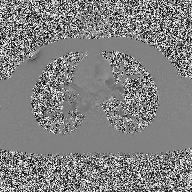
modality = 2D phase-contrast cine MRI of the ascending aorta.